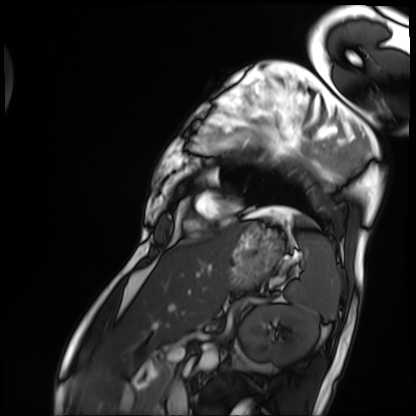
<scan>
  <modality>cardiac MRI</modality>
  <cohort>patient</cohort>
</scan>